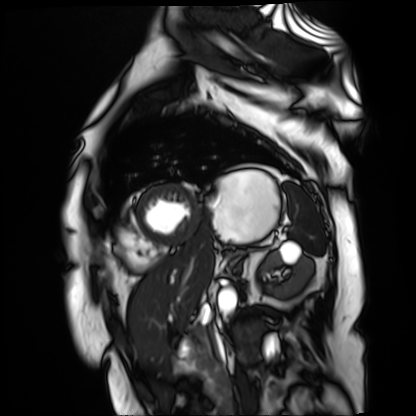
Cardiac MR image of the myocardium. Subject cohort: cardiac patient.